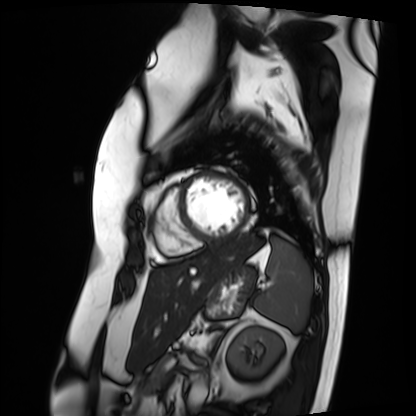
<record>
<modality>cardiac MRI</modality>
<cohort>patient</cohort>
</record>